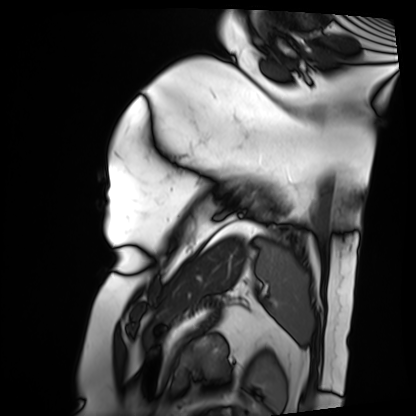
{
  "modality": "cardiac MRI",
  "cohort": "patient"
}